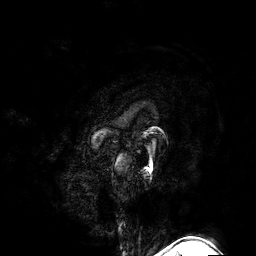
Summary: 3 Tesla brain MRI. Series: 3D T1-weighted turbo field echo with SENSE. Study: ring-enhancing brain masses.